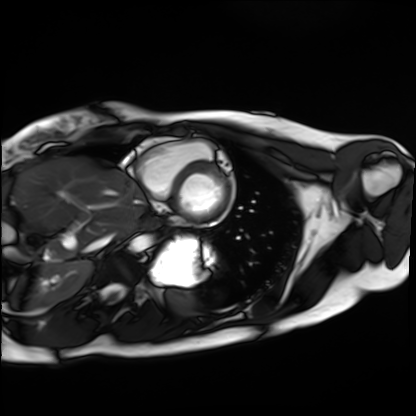
Cardiac MRI.
Subject group: healthy volunteer.